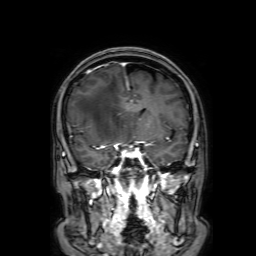
Summary:
3 Tesla brain MRI. Series: 3D T1-weighted with SENSE. Study: ring-enhancing brain masses.